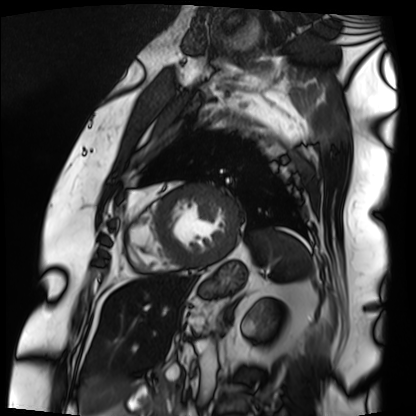
Q: What kind of scan is this?
A: Cardiac MRI.
Subject group: patient.